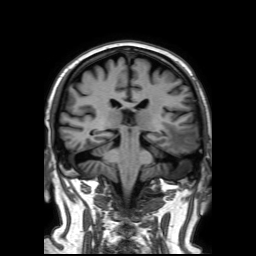
| field | value |
|---|---|
| modality | 3 Tesla brain MRI |
| series | 3D T1-weighted TFE with SENSE |
| study | ring-enhancing brain masses |